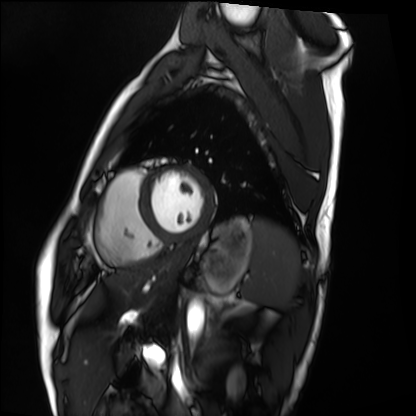
| field | value |
|---|---|
| modality | cardiac MRI |
| subject group | healthy volunteer |